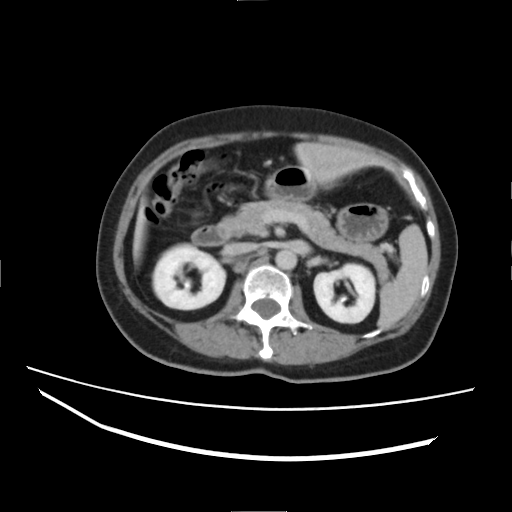
Multiphase abdominal CT, liver, delayed phase. Patient: female, age 60.